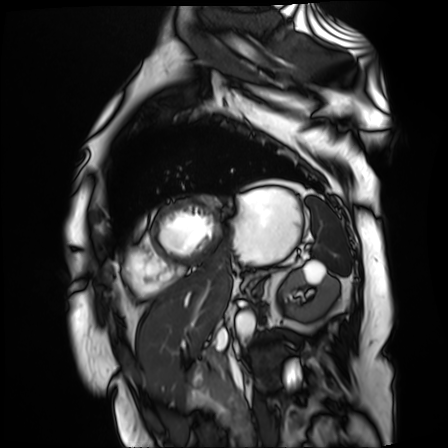
Case summary:
Cardiac MR image of the myocardium. Subject cohort: cardiac patient.